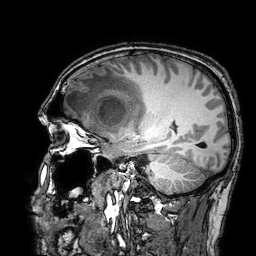
{
  "modality": {
    "type": "brain MRI",
    "field_strength": "3T"
  },
  "series": "3D T1-weighted turbo field echo with SENSE",
  "study_topic": "ring-enhancing brain masses"
}